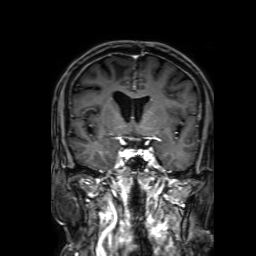
modality:
  type: brain MRI
  field_strength: 3T
series: 3D T1-weighted with SENSE
study_topic: ring-enhancing brain masses